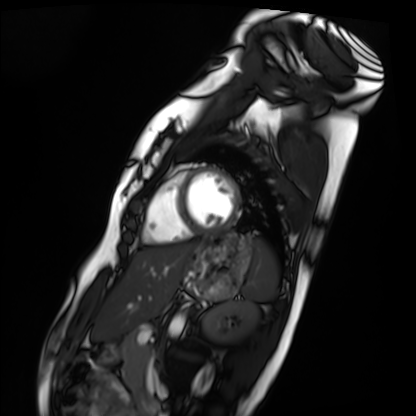
Cardiac MRI.
Subject group: healthy volunteer.